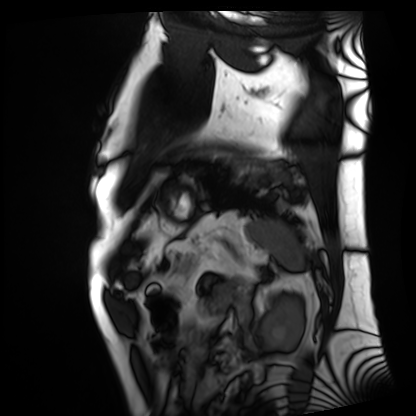
<scan>
  <modality>cardiac MRI</modality>
  <cohort>patient</cohort>
</scan>